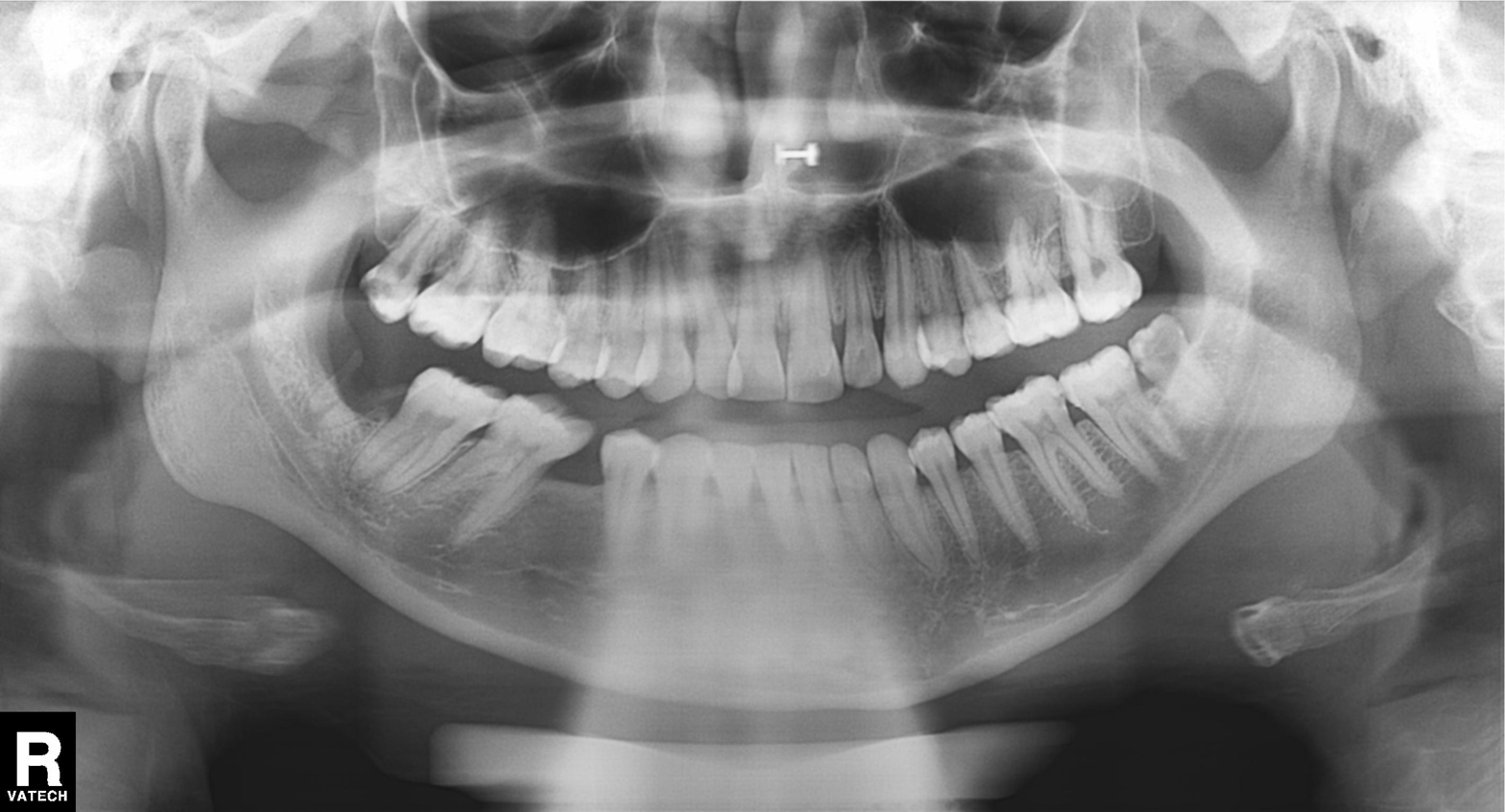
Summary:
Panoramic dental radiograph (orthopantomogram).
Conclusion:
Tooth impaction.